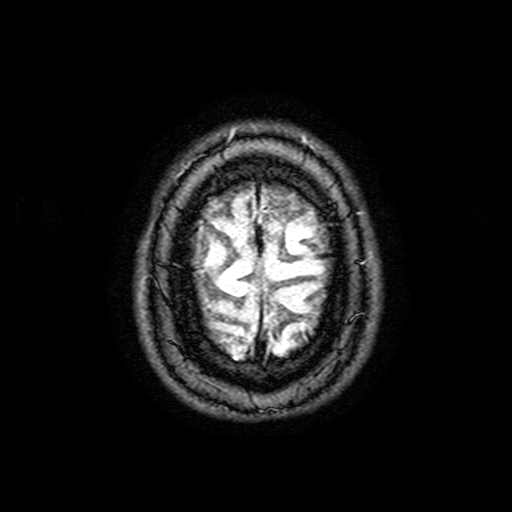
3 Tesla brain MRI. Series: FLAIR with SPAIR, 3 mm. Study: ring-enhancing brain masses.